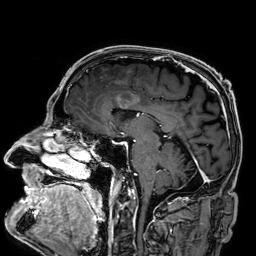
| field | value |
|---|---|
| modality | 3 Tesla brain MRI |
| series | 3D T1-weighted |
| study | ring-enhancing brain masses |